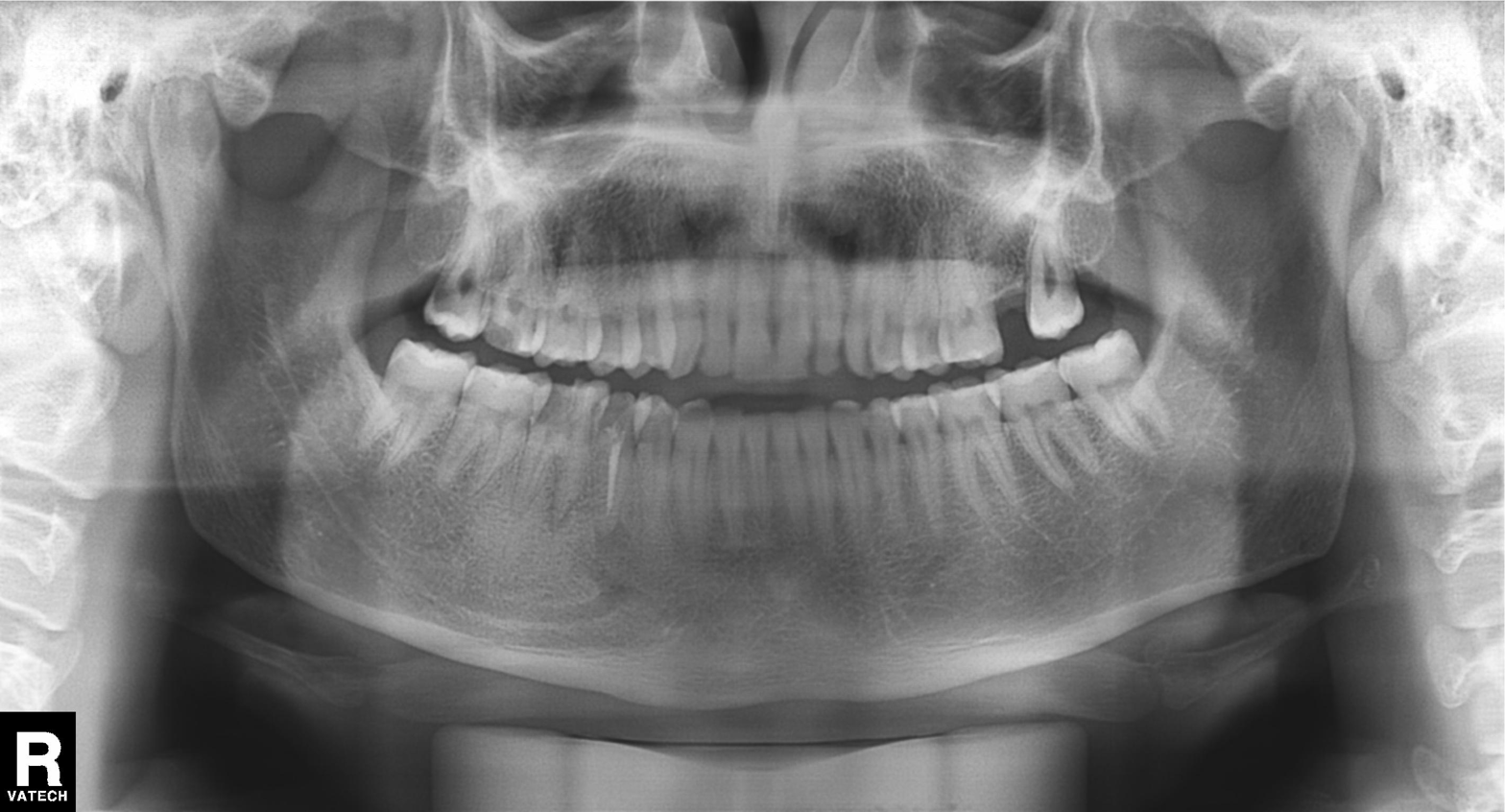
modality: panoramic dental radiograph (orthopantomogram)
finding: alveolar bone loss